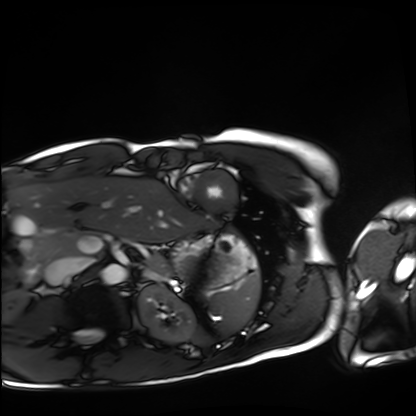
Summary: Cardiac MRI. Subject group: healthy volunteer.